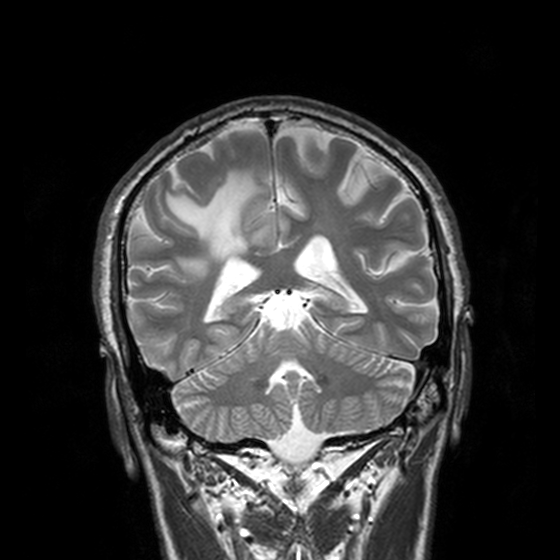
Clinical context:
3 Tesla brain MRI. Series: T2-weighted turbo spin echo, 3 mm. Study: ring-enhancing brain masses.